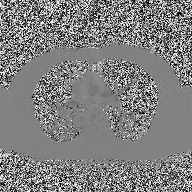
modality=2D phase-contrast cine MRI of the ascending aorta.